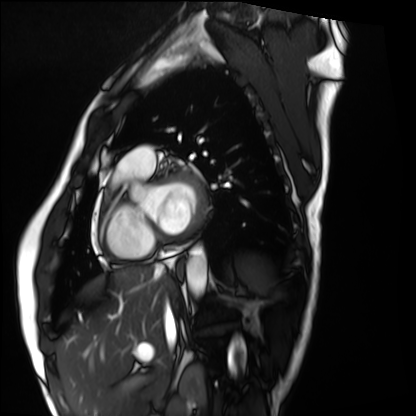
<case>
  <modality>cardiac MRI</modality>
  <cohort>healthy volunteer</cohort>
</case>